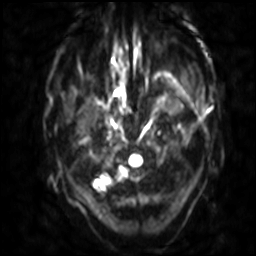
3 Tesla brain MRI. Series: diffusion-weighted imaging with SENSE (WIP). Study: ring-enhancing brain masses.